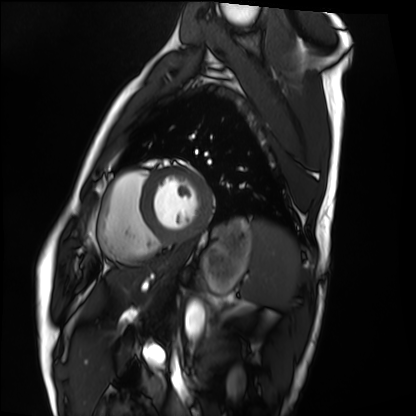
Case:
– modality · cardiac MRI
– subject group · healthy volunteer